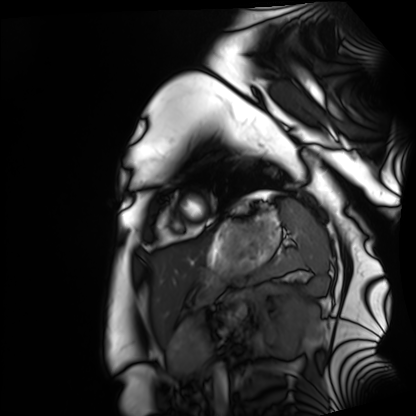
– modality: cardiac MRI
– subject group: healthy volunteer